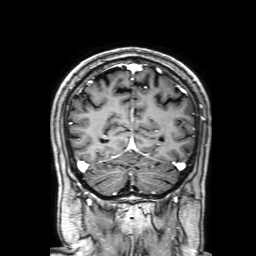
3 Tesla brain MRI.
Series: 3D T1-weighted with SENSE.
Study: ring-enhancing brain masses.